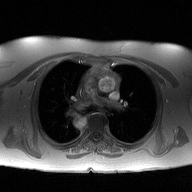
Q: What kind of scan is this?
A: 2D phase-contrast cine MRI of the ascending aorta.